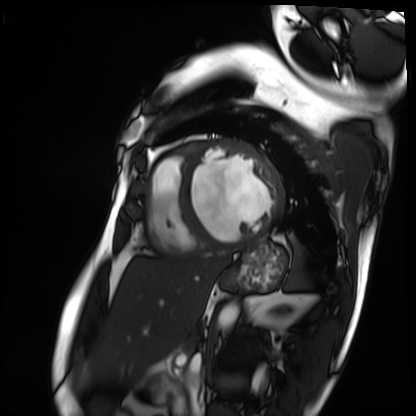
Q: What kind of scan is this?
A: Cardiac MRI.
Subject group: patient.